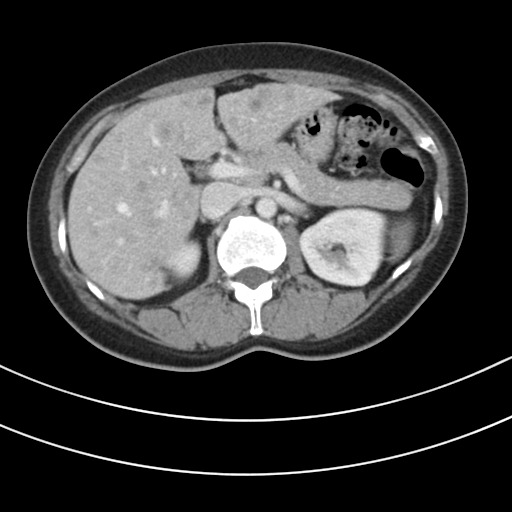
Multiphase abdominal CT, liver, portal venous phase.